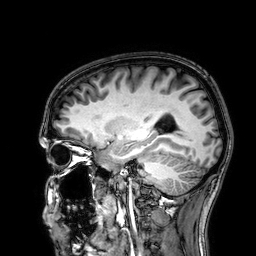
Case:
– modality: 3 Tesla brain MRI
– series: 3D T1-weighted
– study: ring-enhancing brain masses